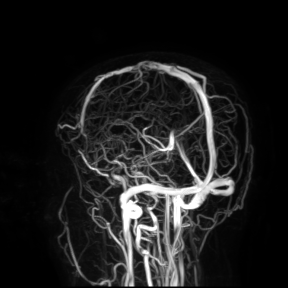
3 Tesla brain MRI.
Study: ring-enhancing brain masses.